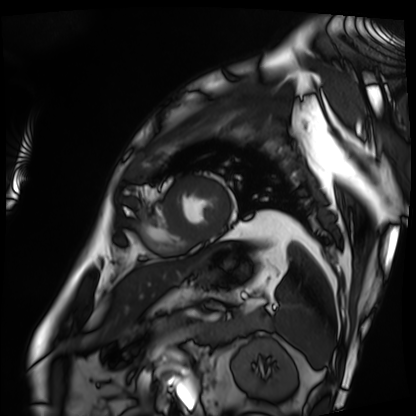
modality = cardiac MRI
subject group = patient